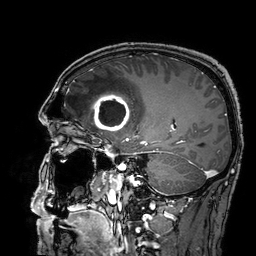
| field | value |
|---|---|
| modality | 3 Tesla brain MRI |
| series | 3D T1-weighted turbo field echo with SENSE |
| study | ring-enhancing brain masses |